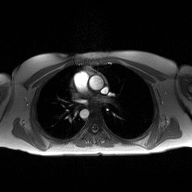
{
  "modality": {
    "type": "2D phase-contrast cine MRI",
    "region": "ascending aorta",
    "reconstruction": "high-resolution GRAPPA acquisition"
  }
}